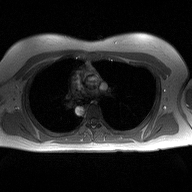
2D phase-contrast cine MRI of the ascending aorta, high-resolution GRAPPA acquisition.